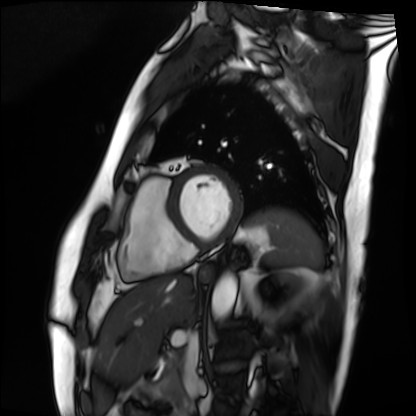
Cardiac MRI.
Subject group: patient.